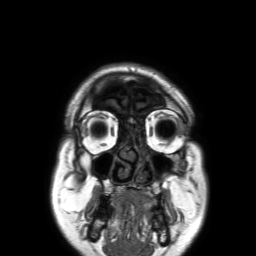
Q: What kind of scan is this?
A: 3 Tesla brain MRI.
Q: Series?
A: 3D T1-weighted TFE with SENSE.
Study: ring-enhancing brain masses.